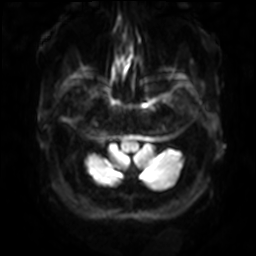
3 Tesla brain MRI. Series: diffusion-weighted imaging with SENSE (WIP). Study: ring-enhancing brain masses.